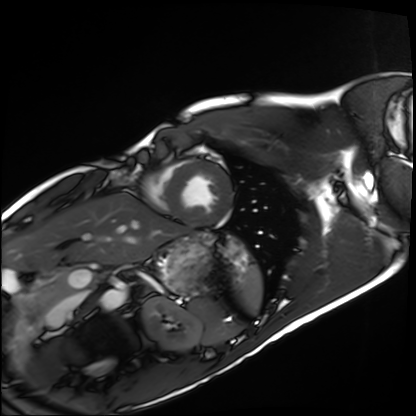
Cardiac MRI. Subject group: healthy volunteer.